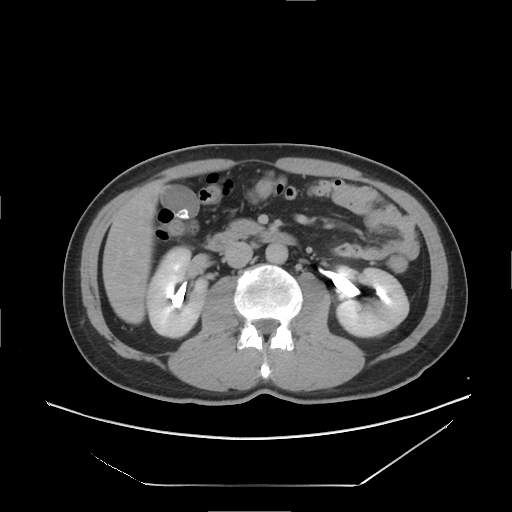
Q: What kind of scan is this?
A: Multiphase abdominal CT, liver, delayed phase.